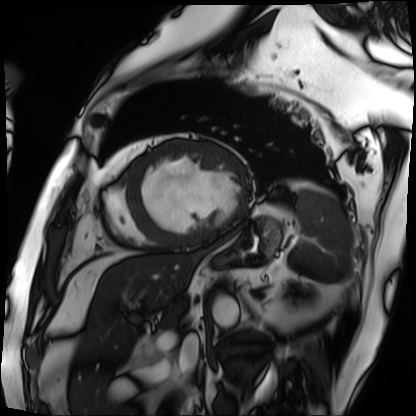
- modality · cardiac MRI
- subject group · patient